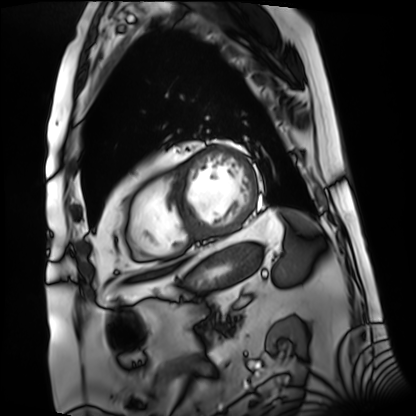
– modality — cardiac MRI
– subject group — patient